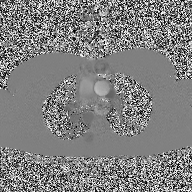
2D phase-contrast cine MRI of the ascending aorta, high-resolution GRAPPA acquisition.